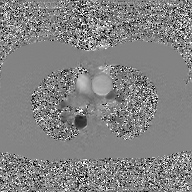
<record>
  <modality>
    <type>2D phase-contrast cine MRI</type>
    <region>ascending aorta</region>
    <reconstruction>GAN super-resolution reconstruction</reconstruction>
  </modality>
</record>